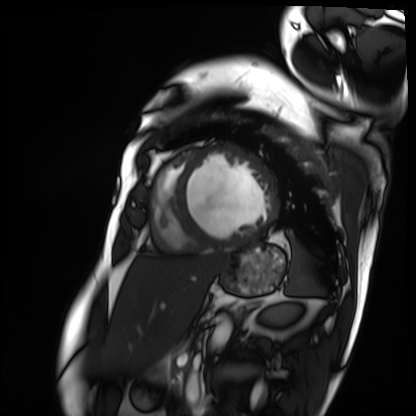
Summary: Cardiac MRI. Subject group: patient.